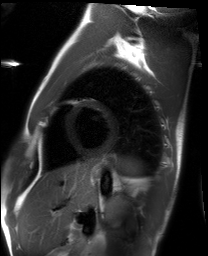
Cardiac MRI. Subject group: healthy volunteer.